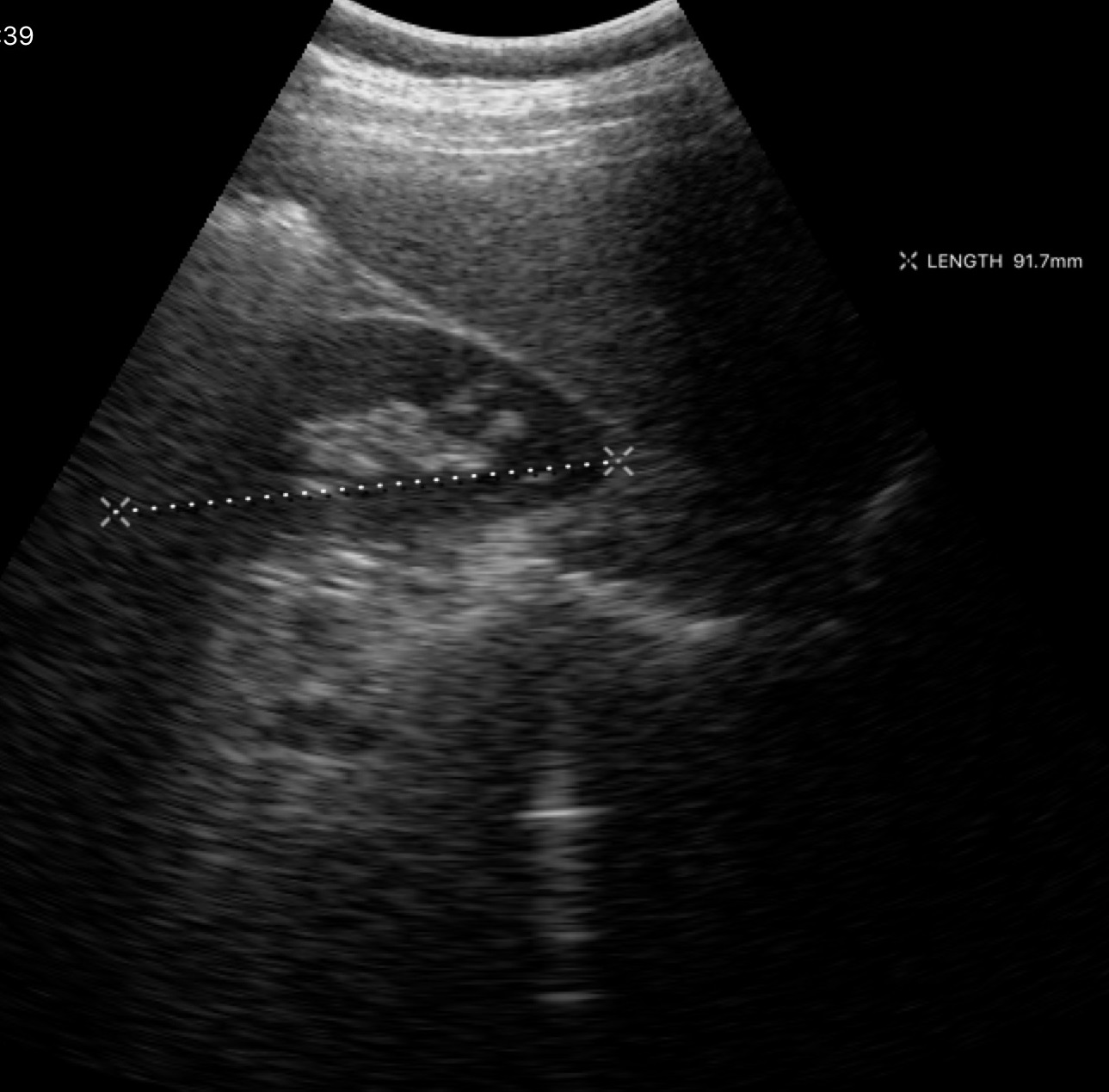
Summary: Genitourinary ultrasound.